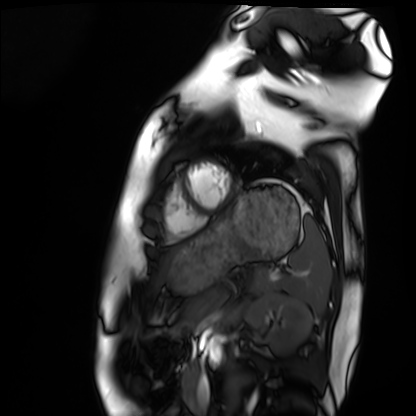
Cardiac MRI.
Subject group: healthy volunteer.